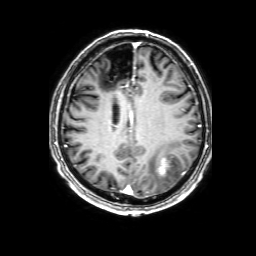
3 Tesla brain MRI. Series: 3D T1-weighted with SENSE. Study: ring-enhancing brain masses.